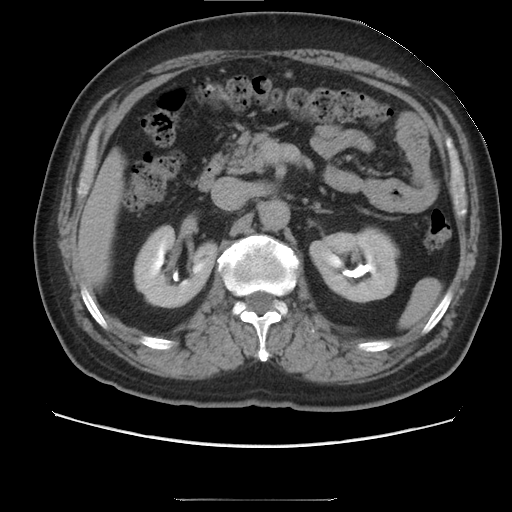
{"modality": {"type": "multiphase abdominal CT", "region": "liver", "phase": "delayed"}, "patient": {"sex": "male", "age": 68}, "history": ["cirrhosis", "viral hepatitis", "prior chemotherapy"]}